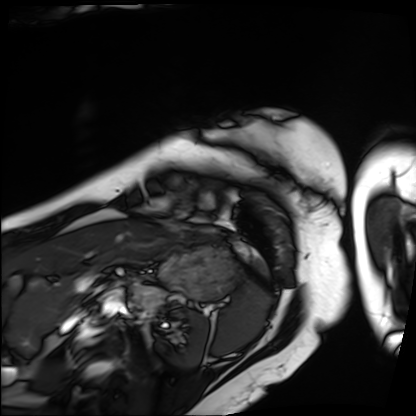
Cardiac MRI. Subject group: patient.